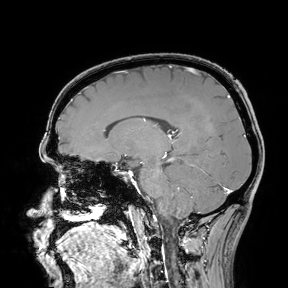
3 Tesla brain MRI. Study: ring-enhancing brain masses.